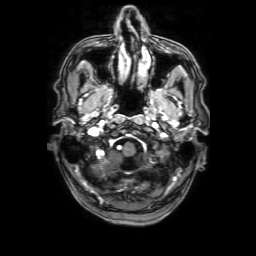
Case summary: 3 Tesla brain MRI. Series: 3D T1-weighted with SENSE. Study: ring-enhancing brain masses.